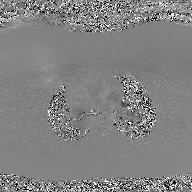
modality: 2D phase-contrast cine MRI of the ascending aorta, GAN super-resolution reconstruction.